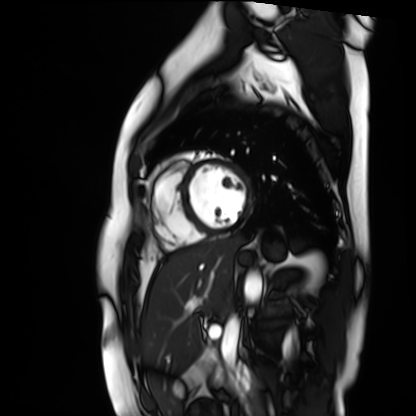
Cardiac MR image of the myocardium. Subject cohort: healthy volunteer.